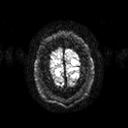
  modality:
    type: brain MRI
    field_strength: 3T
  series: diffusion tensor imaging (medium iso)
  study_topic: ring-enhancing brain masses